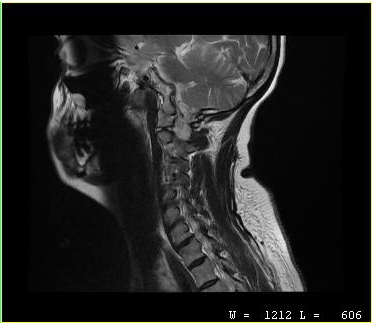
• modality: MRI of the cervical spine
• study: cervical spondylosis